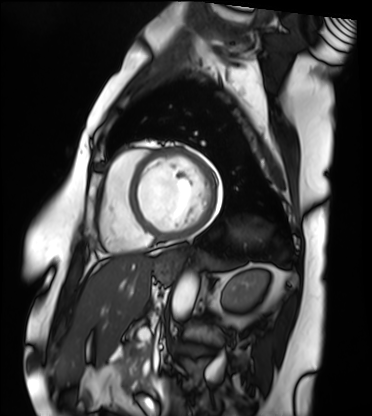
Cardiac MRI. Subject group: patient.